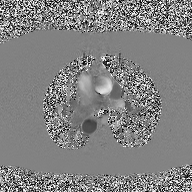
2D phase-contrast cine MRI of the ascending aorta, high-resolution GRAPPA acquisition.